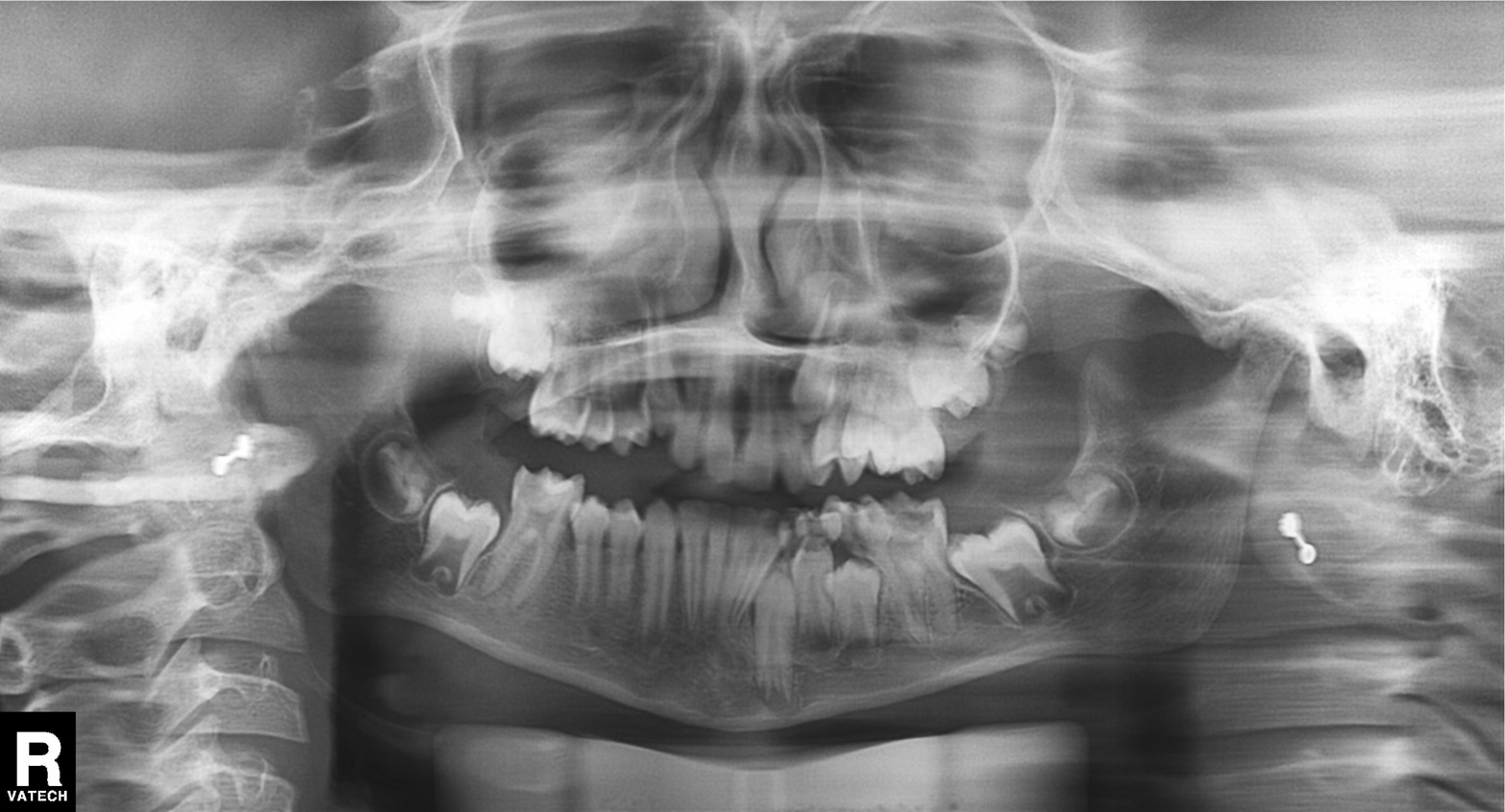
Panoramic dental radiograph (orthopantomogram). Finding: alveolar bone loss.